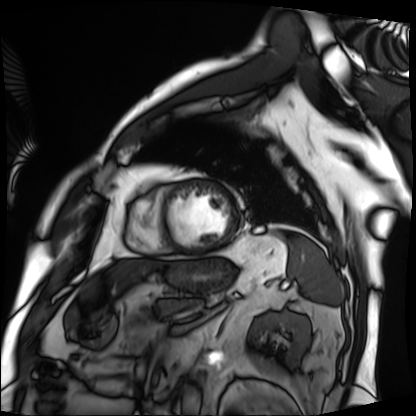
<record>
<modality>cardiac MRI</modality>
<cohort>patient</cohort>
</record>